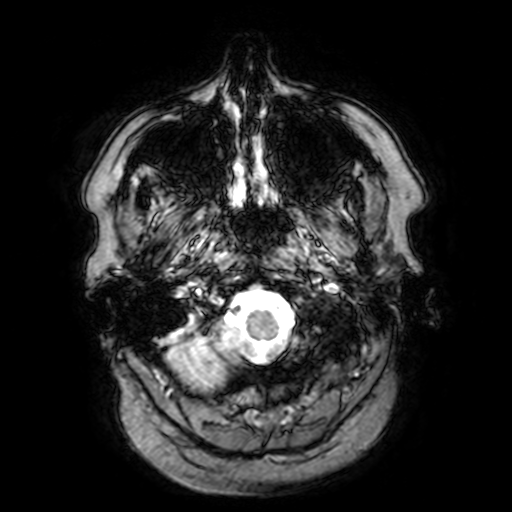
{
  "modality": {
    "type": "brain MRI",
    "field_strength": "3T"
  },
  "series": "T2-weighted fast field echo with SENSE",
  "study_topic": "ring-enhancing brain masses"
}